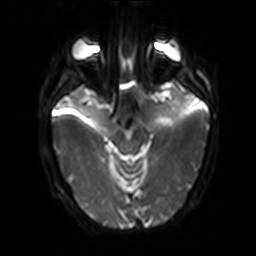
Q: What kind of scan is this?
A: 3 Tesla brain MRI.
Q: Series?
A: Diffusion-weighted imaging with SENSE (WIP).
Study: ring-enhancing brain masses.